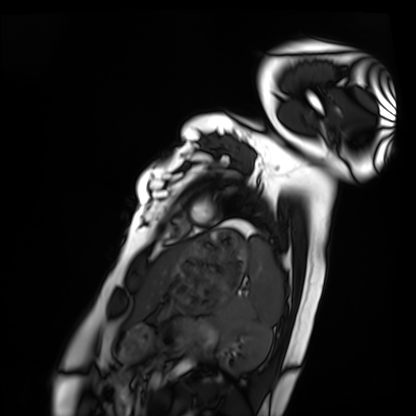
<scan>
  <modality>cardiac MRI</modality>
  <cohort>healthy volunteer</cohort>
</scan>